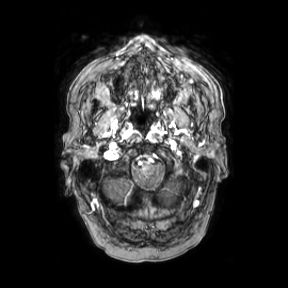
modality: 3 Tesla brain MRI
series: axial
study: ring-enhancing brain masses